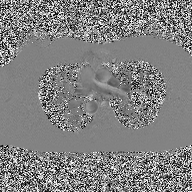
modality — 2D phase-contrast cine MRI of the ascending aorta.